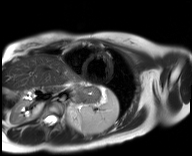
| field | value |
|---|---|
| modality | cardiac MR image of the myocardium |
| subject cohort | healthy volunteer |